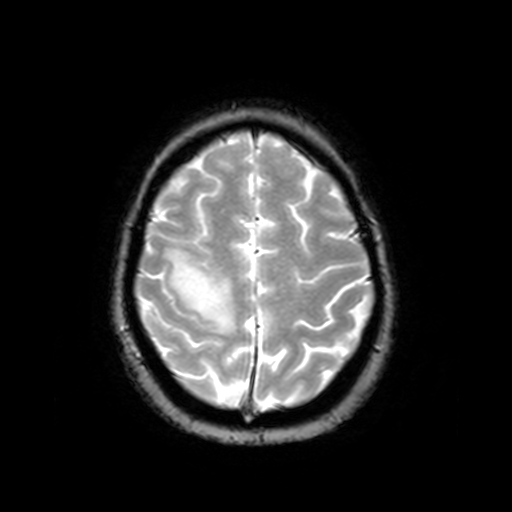
modality: 3 Tesla brain MRI | series: T2-weighted fast field echo | study: ring-enhancing brain masses.